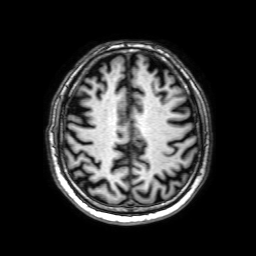
modality: 3 Tesla brain MRI
series: 3D T1-weighted with SENSE
study: ring-enhancing brain masses